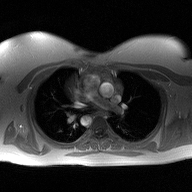
Case summary: 2D phase-contrast cine MRI of the ascending aorta, high-resolution GRAPPA acquisition.